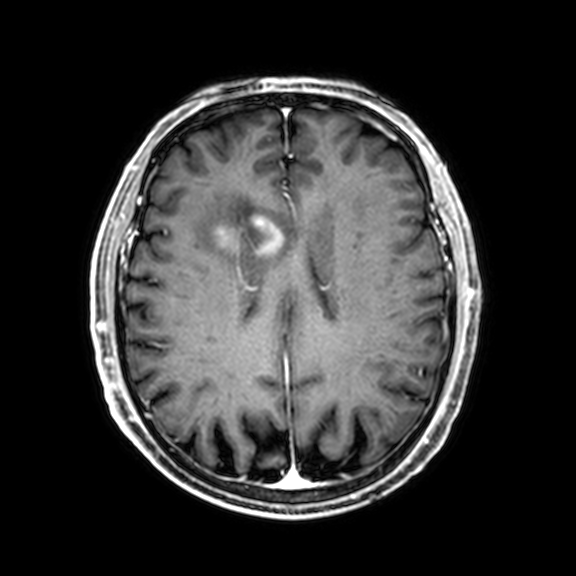
Case summary:
3 Tesla brain MRI. Series: 3D T1-weighted with CLEAR. Study: ring-enhancing brain masses.